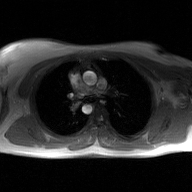
Summary:
2D phase-contrast cine MRI of the ascending aorta, GAN super-resolution reconstruction.